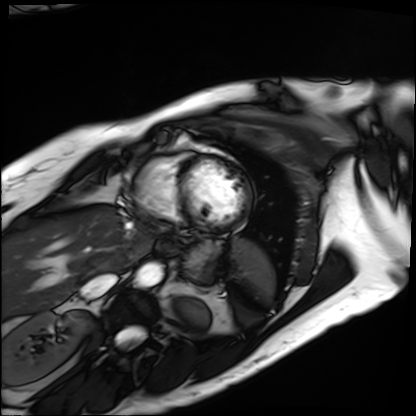
modality = cardiac MRI | subject group = patient.